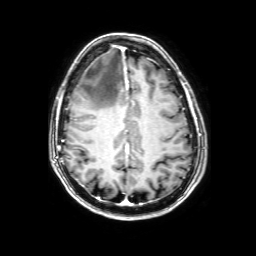
modality = 3 Tesla brain MRI
series = 3D T1-weighted with SENSE
study = ring-enhancing brain masses